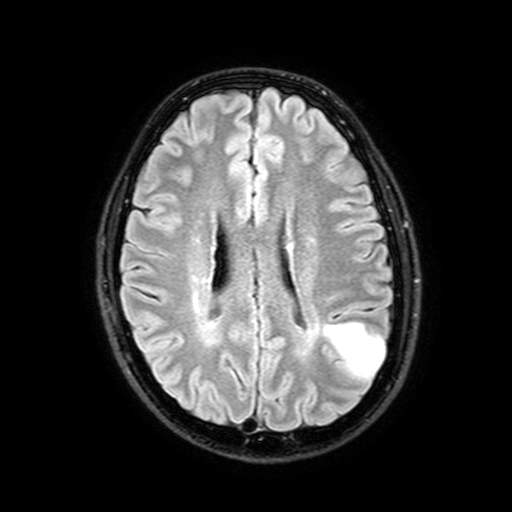
Case:
• modality · 3 Tesla brain MRI
• series · FLAIR with SPAIR, 3 mm
• study · ring-enhancing brain masses